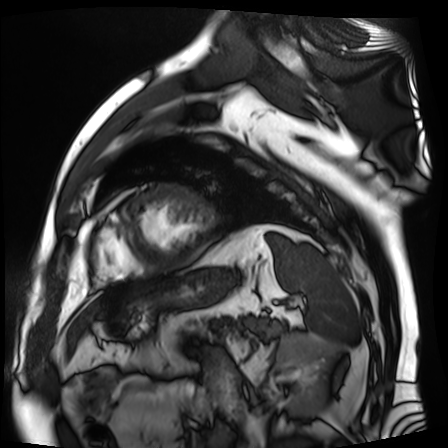
modality: cardiac MR image of the myocardium | subject cohort: cardiac patient.